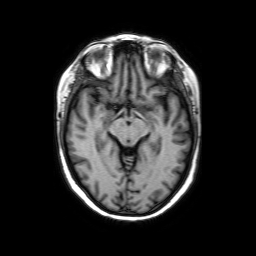
3 Tesla brain MRI. Series: axial without contrast. Study: ring-enhancing brain masses.